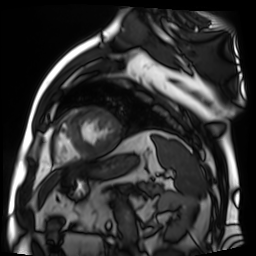
modality = cardiac MR image of the myocardium
subject cohort = cardiac patient